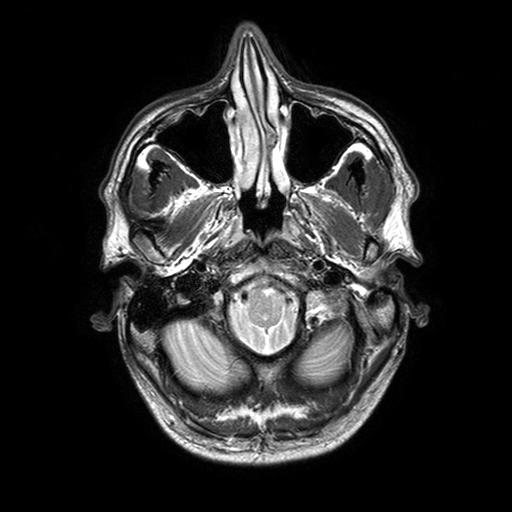
• modality · 3 Tesla brain MRI
• series · T2-weighted turbo spin echo with SENSE
• study · ring-enhancing brain masses